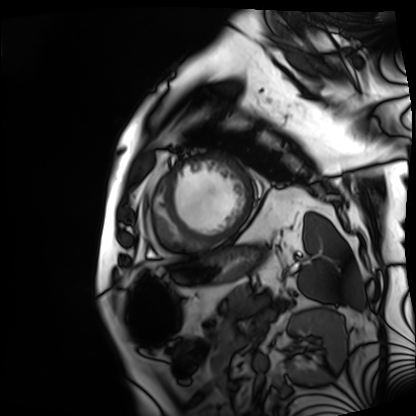
Case:
– modality: cardiac MRI
– subject group: patient